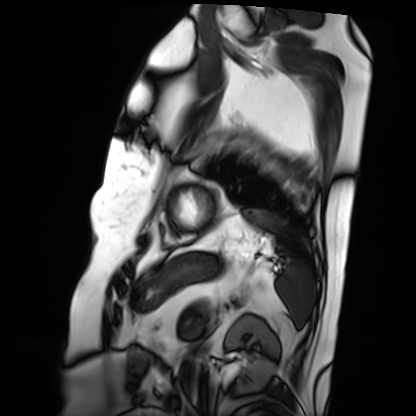
Cardiac MRI.
Subject group: patient.